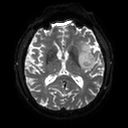
– modality: 3 Tesla brain MRI
– series: diffusion tensor imaging (medium iso)
– study: ring-enhancing brain masses